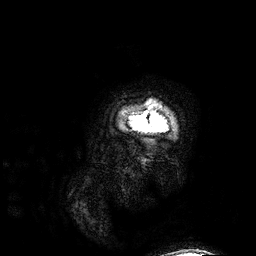
3 Tesla brain MRI.
Series: 3D T1-weighted.
Study: ring-enhancing brain masses.